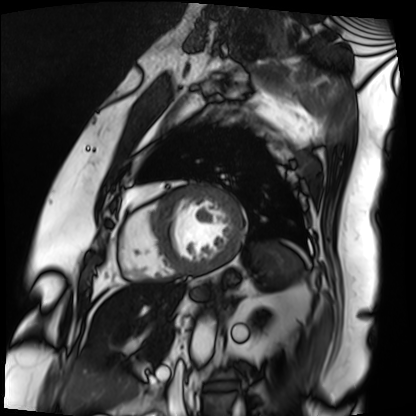
Cardiac MRI. Subject group: patient.